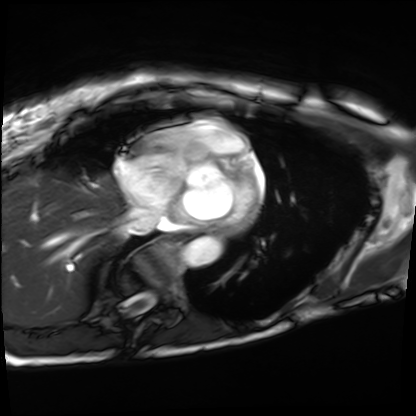
{"modality": "cardiac MRI", "cohort": "patient"}